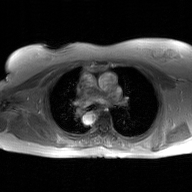
2D phase-contrast cine MRI of the ascending aorta, GAN super-resolution reconstruction.